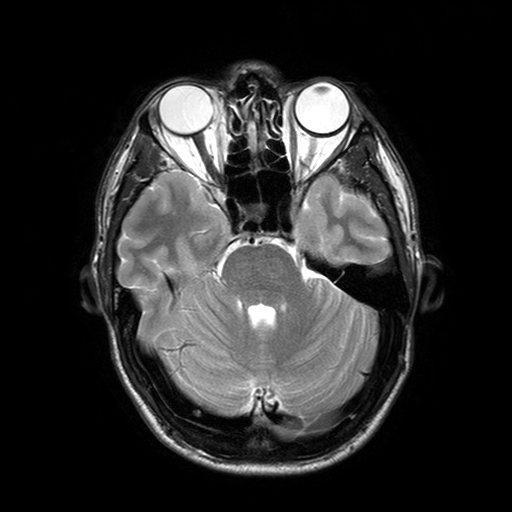
Q: What kind of scan is this?
A: 3 Tesla brain MRI.
Q: Series?
A: T2-weighted turbo spin echo with SENSE.
Study: ring-enhancing brain masses.